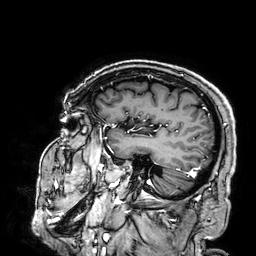
Case summary: 3 Tesla brain MRI. Series: 3D T1-weighted. Study: ring-enhancing brain masses.